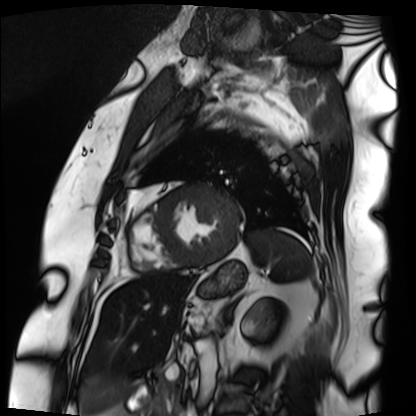
Clinical context: Cardiac MRI. Subject group: patient.